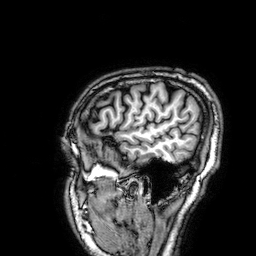
{
  "modality": {
    "type": "brain MRI",
    "field_strength": "3T"
  },
  "series": "3D T1-weighted",
  "study_topic": "ring-enhancing brain masses"
}